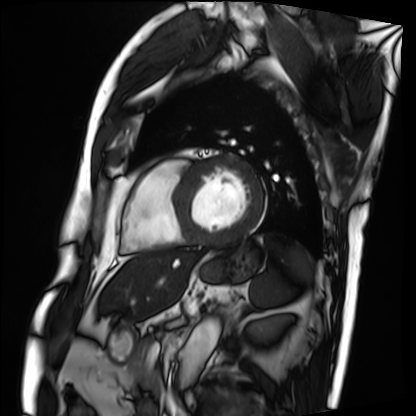
Cardiac MRI. Subject group: patient.